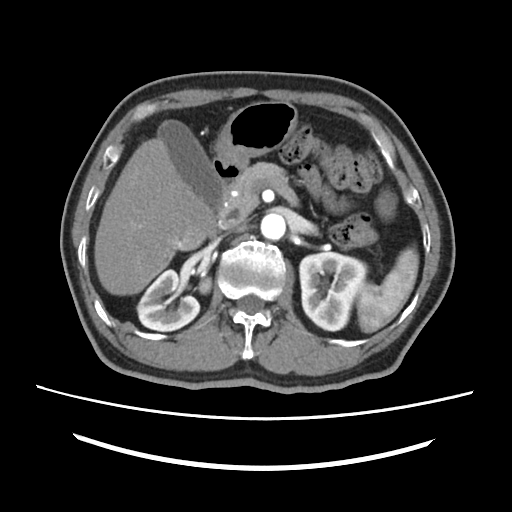
Multiphase abdominal CT, liver, arterial phase. Patient: male, age 67.